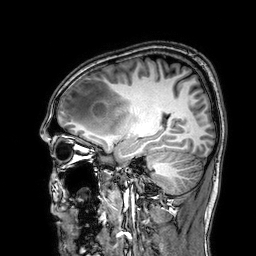
3 Tesla brain MRI. Series: 3D T1-weighted. Study: ring-enhancing brain masses.